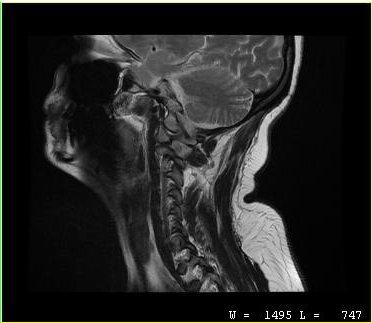
{
  "modality": {
    "type": "cervical spine MRI"
  },
  "study_topic": "cervical spondylosis"
}